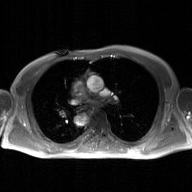
Summary: 2D phase-contrast cine MRI of the ascending aorta, GAN super-resolution reconstruction.